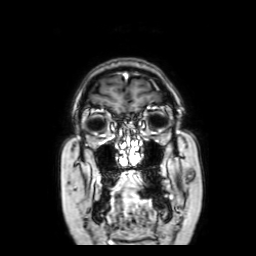
Summary: 3 Tesla brain MRI. Series: coronal with contrast. Study: ring-enhancing brain masses.